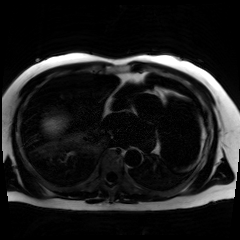
Case summary: Chemical-shift-encoded cardiac MRI.